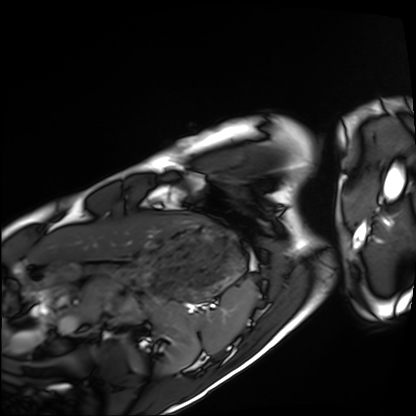
Summary:
Cardiac MRI. Subject group: healthy volunteer.